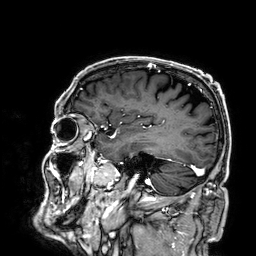
modality — 3 Tesla brain MRI
series — 3D T1-weighted
study — ring-enhancing brain masses